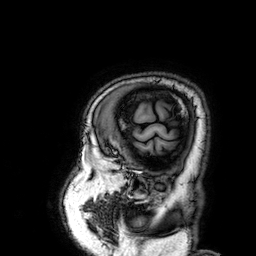
Clinical context:
3 Tesla brain MRI. Series: 3D T1-weighted. Study: ring-enhancing brain masses.